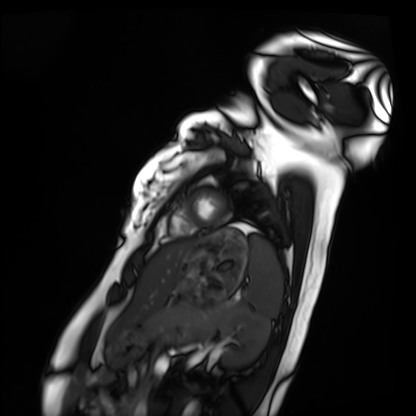
Summary:
Cardiac MRI. Subject group: healthy volunteer.